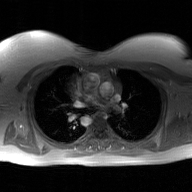
2D phase-contrast cine MRI of the ascending aorta, GAN super-resolution reconstruction.